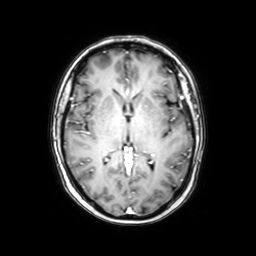
3 Tesla brain MRI.
Series: axial with contrast.
Study: ring-enhancing brain masses.